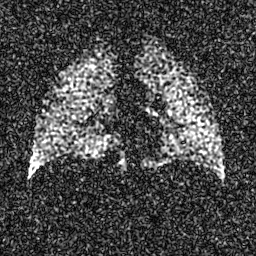
modality: hyperpolarized 129Xe ventilation MRI of the lungs; SNR level: 5 of 8 (the deposit holds this scan as its native image and as seven SNR-degraded versions).